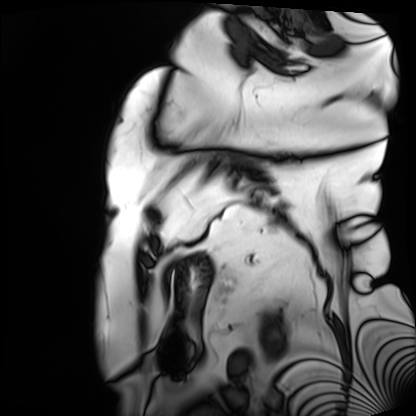
{
  "modality": "cardiac MRI",
  "cohort": "patient"
}